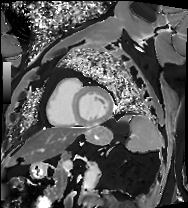
Cardiac MRI.
Subject group: patient.